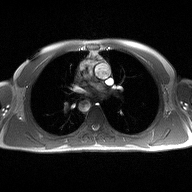
Q: What kind of scan is this?
A: 2D phase-contrast cine MRI of the ascending aorta.